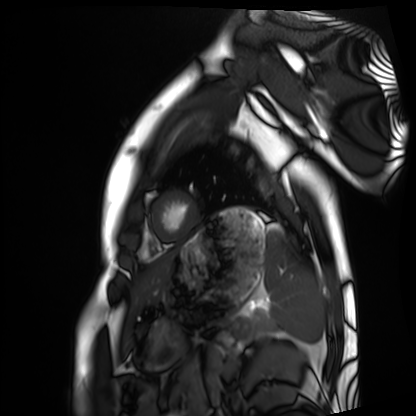
<record>
  <modality>cardiac MRI</modality>
  <cohort>healthy volunteer</cohort>
</record>